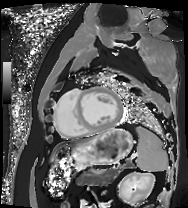
| field | value |
|---|---|
| modality | cardiac MRI |
| subject group | patient |